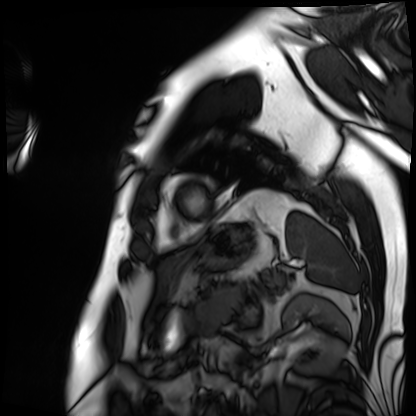
Case summary: Cardiac MRI. Subject group: patient.